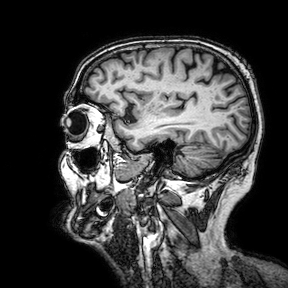
{
  "modality": {
    "type": "brain MRI",
    "field_strength": "3T"
  },
  "series": "3D T1-weighted turbo field echo with SENSE",
  "study_topic": "ring-enhancing brain masses"
}